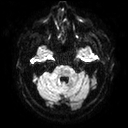
modality:
  type: brain MRI
  field_strength: 3T
series: diffusion tensor imaging (medium iso)
study_topic: ring-enhancing brain masses